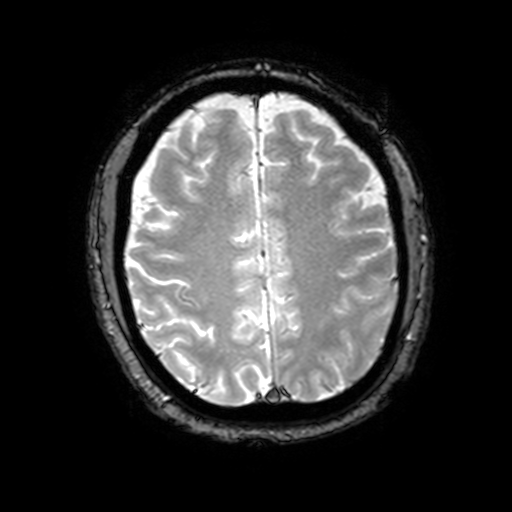
Case:
- modality: 3 Tesla brain MRI
- series: T2-weighted fast field echo with SENSE
- study: ring-enhancing brain masses